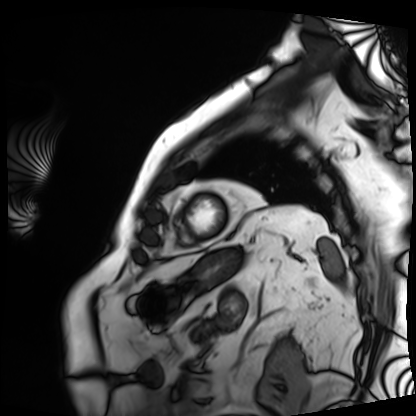
Cardiac MRI.
Subject group: patient.